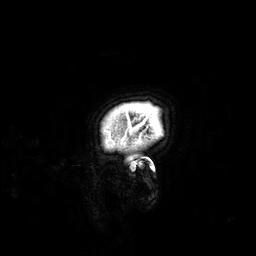
3 Tesla brain MRI. Series: 3D T1-weighted. Study: ring-enhancing brain masses.